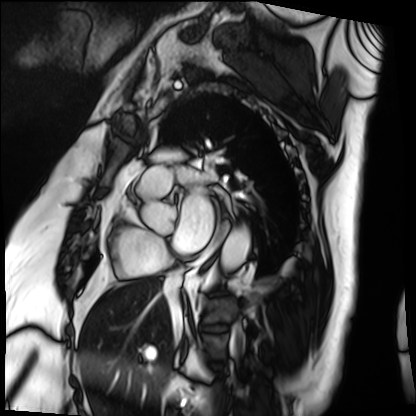
Q: What kind of scan is this?
A: Cardiac MRI.
Subject group: patient.